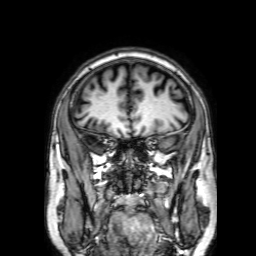
Summary:
3 Tesla brain MRI. Series: 3D T1-weighted with SENSE. Study: ring-enhancing brain masses.